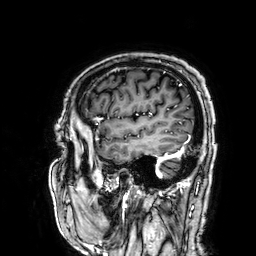
Summary:
3 Tesla brain MRI. Series: 3D T1-weighted. Study: ring-enhancing brain masses.